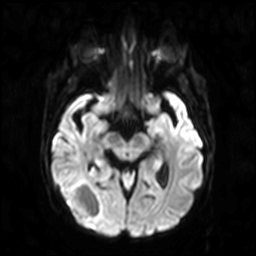
Case summary: 3 Tesla brain MRI. Series: diffusion-weighted imaging. Study: ring-enhancing brain masses.